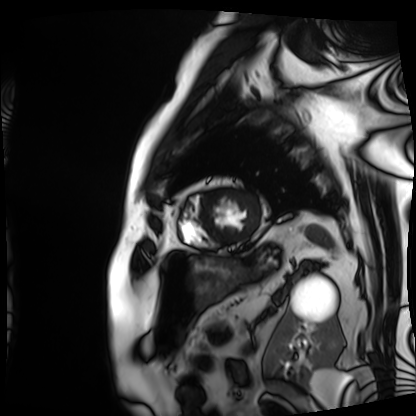
Cardiac MRI. Subject group: patient.